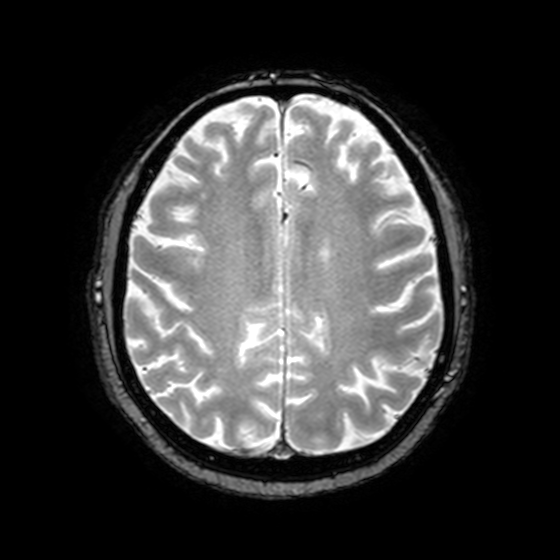
Q: What kind of scan is this?
A: 3 Tesla brain MRI.
Q: Series?
A: T2-weighted fast field echo with SENSE.
Study: ring-enhancing brain masses.